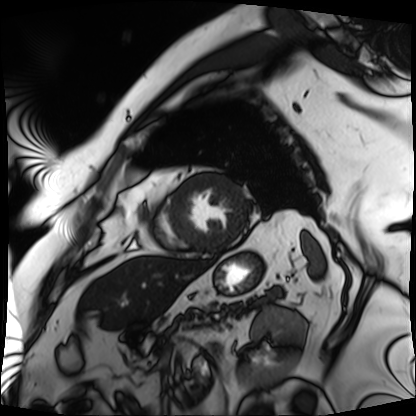
modality = cardiac MRI, subject group = patient.